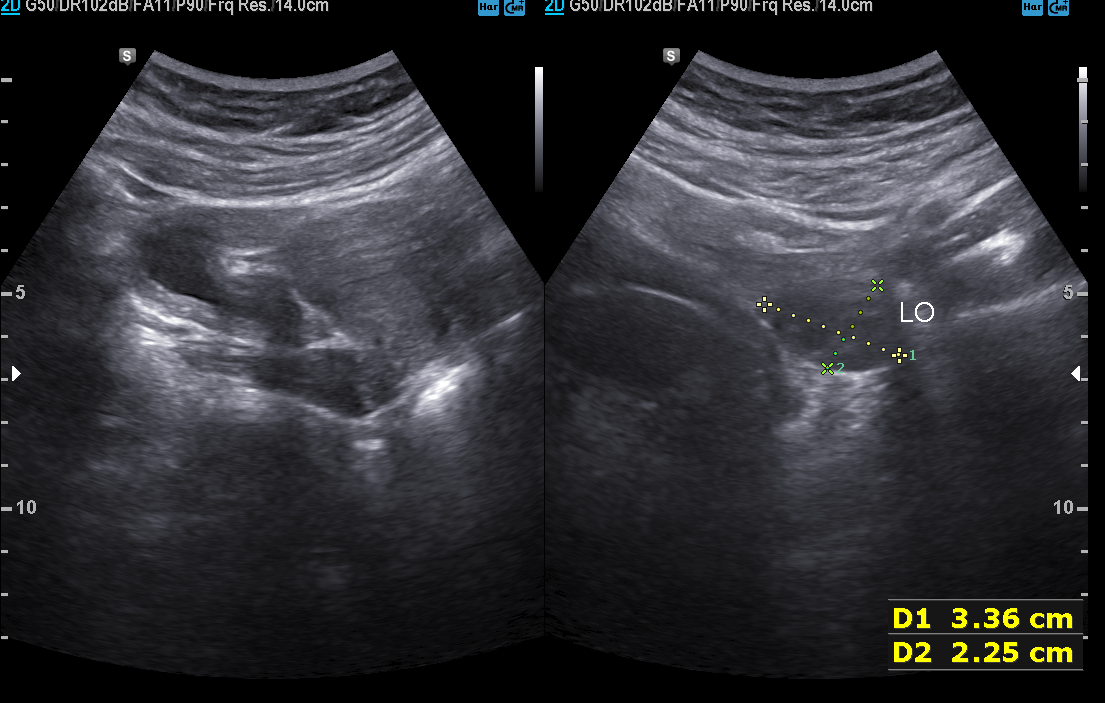
Clinical context: Genitourinary ultrasound.